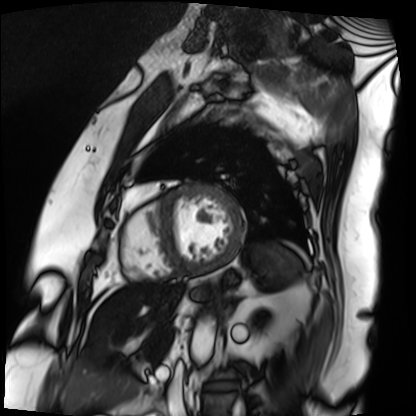
modality = cardiac MRI
subject group = patient